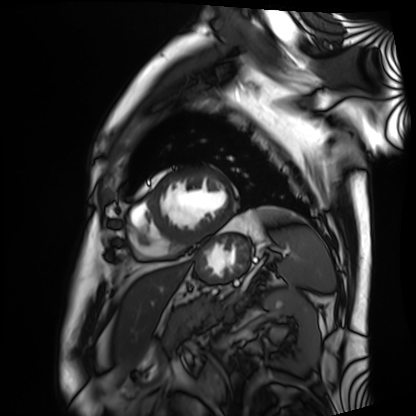
Cardiac MRI. Subject group: patient.